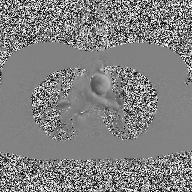
- modality · 2D phase-contrast cine MRI of the ascending aorta